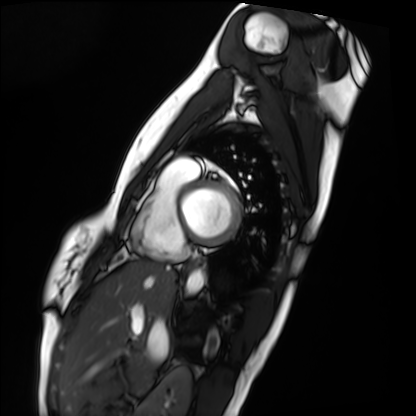
– modality · cardiac MRI
– subject group · healthy volunteer